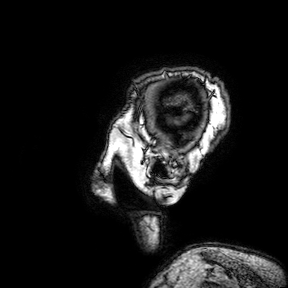
Case summary:
3 Tesla brain MRI. Series: 3D T1-weighted turbo field echo with SENSE. Study: ring-enhancing brain masses.